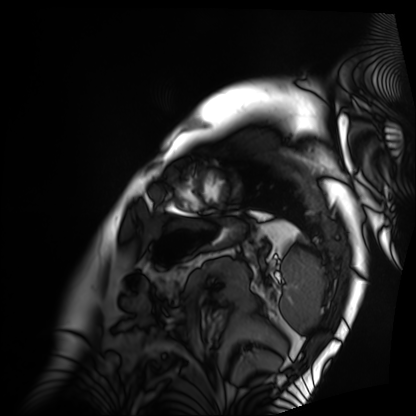
{"modality": "cardiac MRI", "cohort": "patient"}